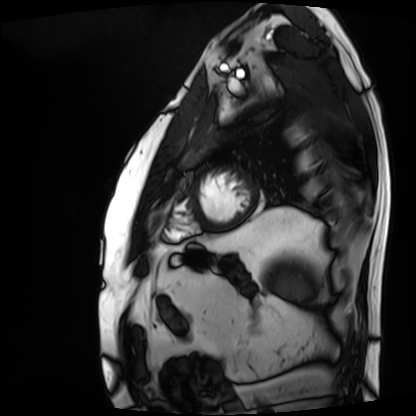
Cardiac MRI.
Subject group: patient.